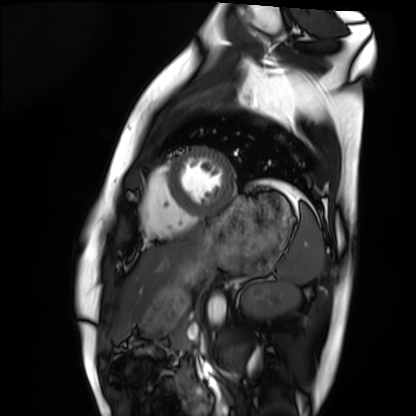
Cardiac MRI.
Subject group: healthy volunteer.